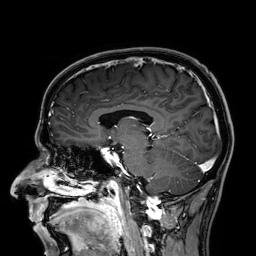
Q: What kind of scan is this?
A: 3 Tesla brain MRI.
Q: Series?
A: 3D T1-weighted.
Study: ring-enhancing brain masses.